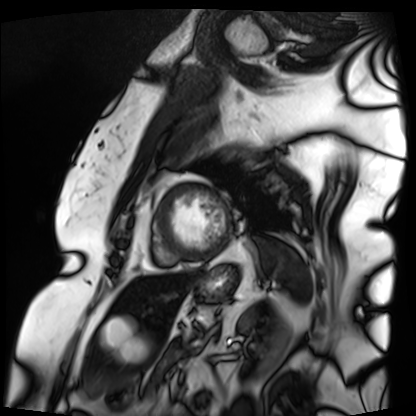
Cardiac MRI. Subject group: patient.